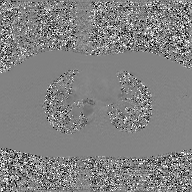
modality = 2D phase-contrast cine MRI of the ascending aorta, GAN super-resolution reconstruction.